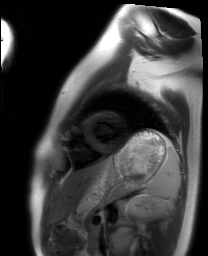
Cardiac MRI.
Subject group: healthy volunteer.